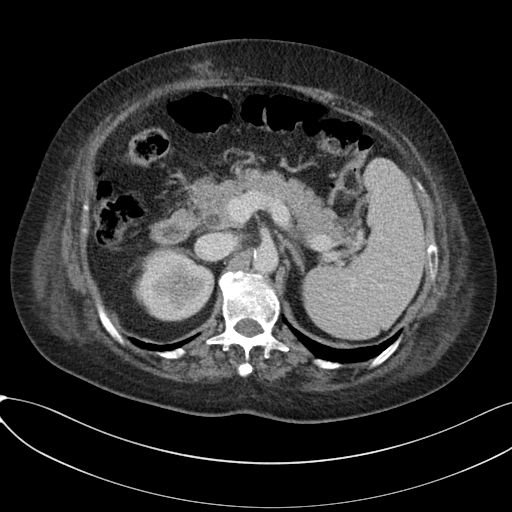
Clinical context:
Multiphase abdominal CT, liver, portal venous phase. Patient: female, age 65. History: cirrhosis, viral hepatitis.